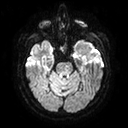
3 Tesla brain MRI.
Series: diffusion tensor imaging (medium iso).
Study: ring-enhancing brain masses.